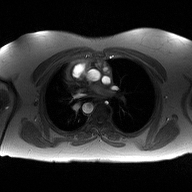
modality: 2D phase-contrast cine MRI of the ascending aorta.